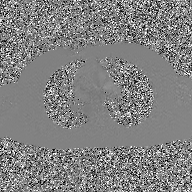
Clinical context: 2D phase-contrast cine MRI of the ascending aorta, GAN super-resolution reconstruction.